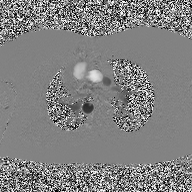
2D phase-contrast cine MRI of the ascending aorta, high-resolution GRAPPA acquisition.